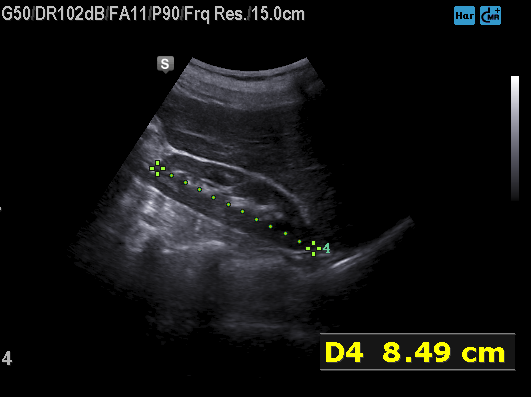
Q: What kind of scan is this?
A: Genitourinary ultrasound.